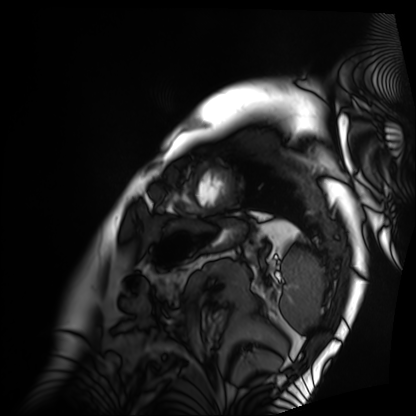
modality = cardiac MRI
subject group = patient